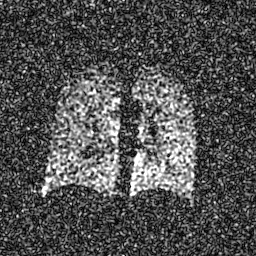
Hyperpolarized 129Xe ventilation MRI of the lungs.
SNR level 7 of 8 (the deposit holds this scan as its native image and as seven SNR-degraded versions).